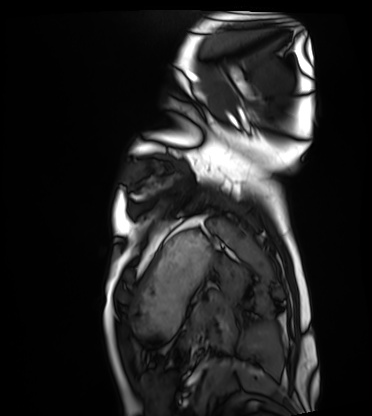
Cardiac MRI. Subject group: healthy volunteer.